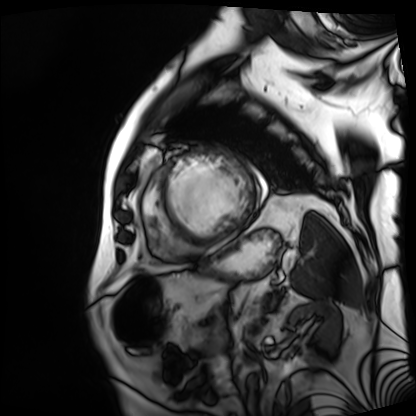
Summary:
Cardiac MRI. Subject group: patient.